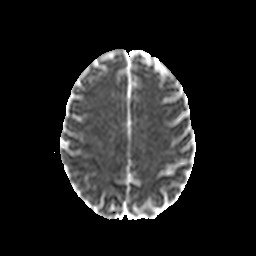
modality = 3 Tesla brain MRI | series = diffusion-weighted imaging with CLEAR | study = ring-enhancing brain masses.